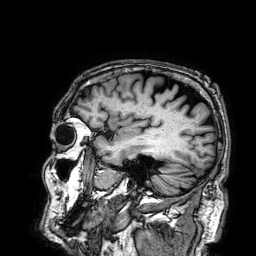
Clinical context:
3 Tesla brain MRI. Series: 3D T1-weighted. Study: ring-enhancing brain masses.